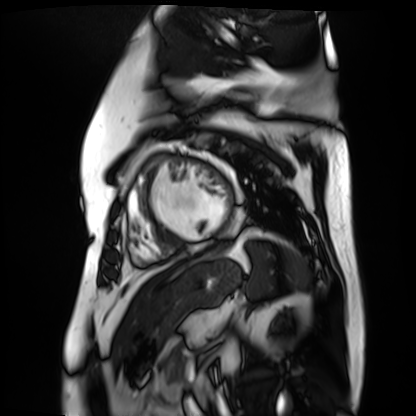
Case:
* modality · cardiac MR image of the myocardium
* subject cohort · cardiac patient